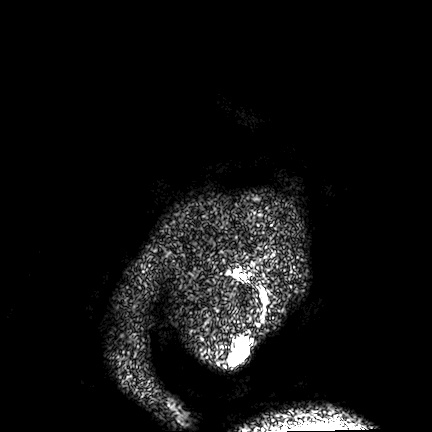
Case:
- modality — 3 Tesla brain MRI
- series — FLAIR VISTA
- study — ring-enhancing brain masses